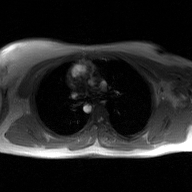
<record>
<modality>
  <type>2D phase-contrast cine MRI</type>
  <region>ascending aorta</region>
  <reconstruction>GAN super-resolution reconstruction</reconstruction>
</modality>
</record>